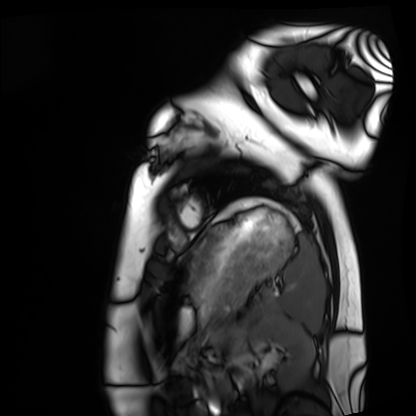
Cardiac MRI.
Subject group: healthy volunteer.